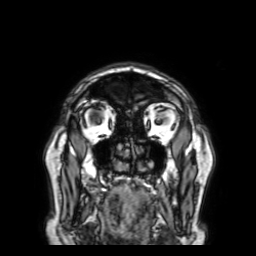
Summary:
3 Tesla brain MRI. Series: 3D T1-weighted with SENSE. Study: ring-enhancing brain masses.